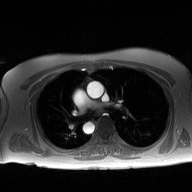
2D phase-contrast cine MRI of the ascending aorta, high-resolution GRAPPA acquisition.